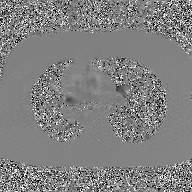
2D phase-contrast cine MRI of the ascending aorta, GAN super-resolution reconstruction.